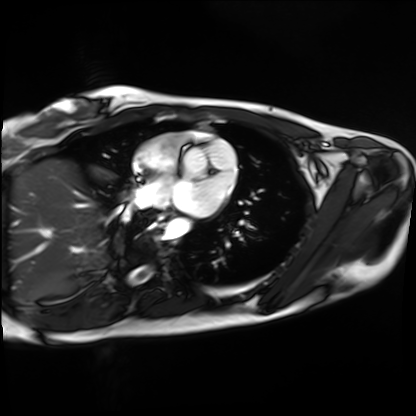
Cardiac MRI.
Subject group: healthy volunteer.